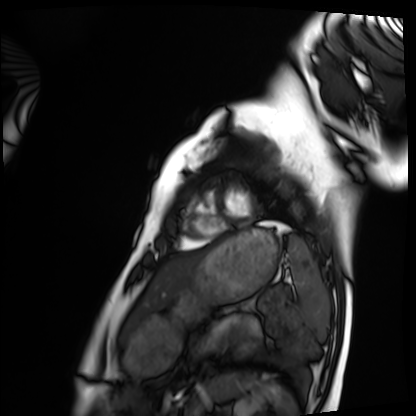
modality: cardiac MRI | subject group: healthy volunteer.